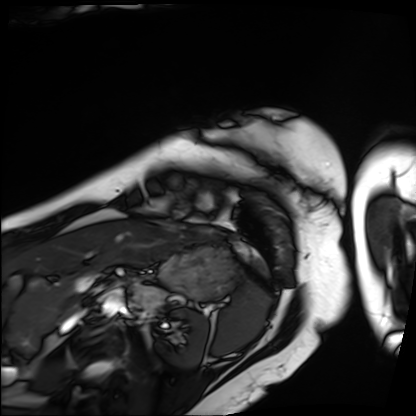
Cardiac MRI.
Subject group: patient.